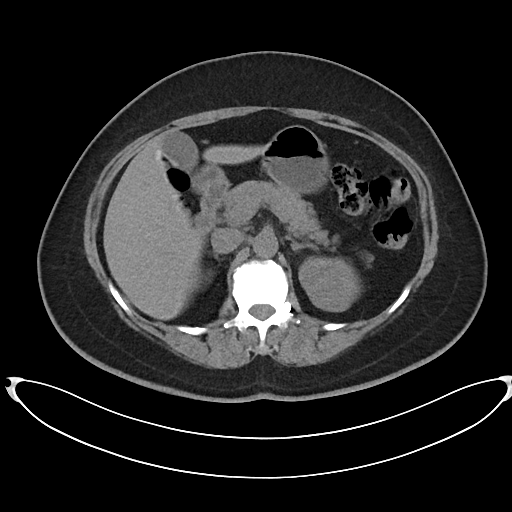
Multiphase abdominal CT, liver, non-contrast phase. Patient: female, age 53.